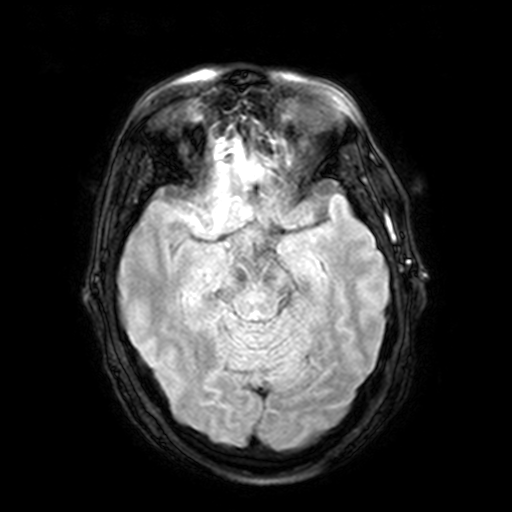
modality: 3 Tesla brain MRI
series: FLAIR with SPAIR, 3 mm
study: ring-enhancing brain masses